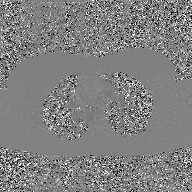
Case summary:
2D phase-contrast cine MRI of the ascending aorta, GAN super-resolution reconstruction.